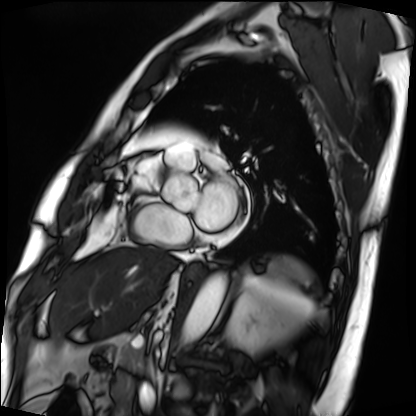
{
  "modality": "cardiac MRI",
  "cohort": "patient"
}